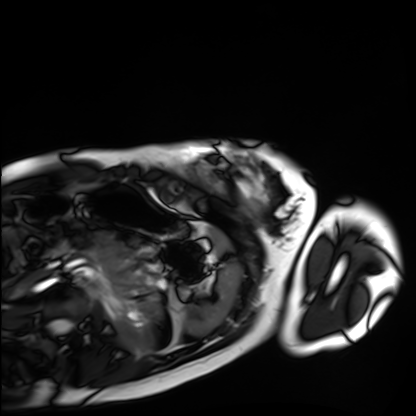
* modality · cardiac MRI
* subject group · healthy volunteer